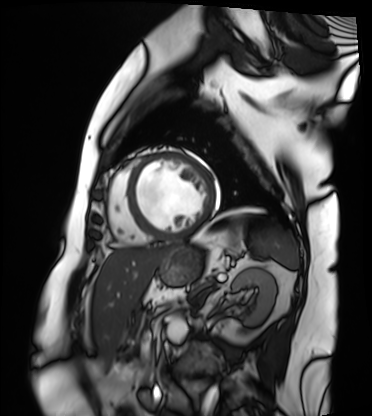
Cardiac MRI. Subject group: patient.